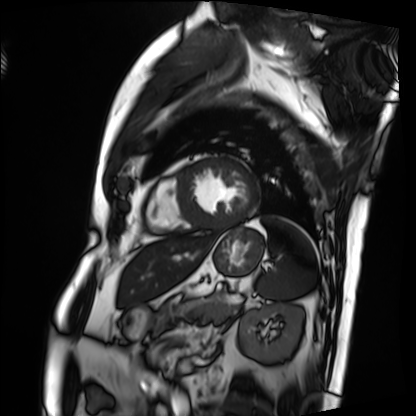
Cardiac MRI.
Subject group: patient.